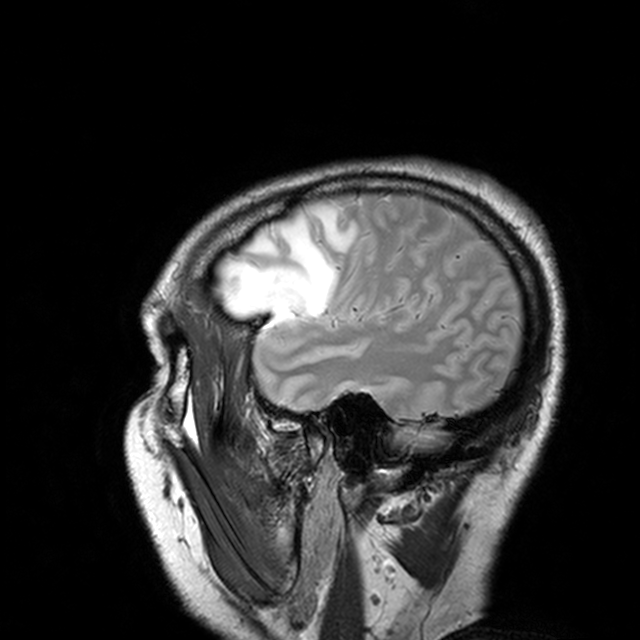
Case:
* modality · 3 Tesla brain MRI
* series · T2-weighted turbo spin echo with CLEAR
* study · ring-enhancing brain masses